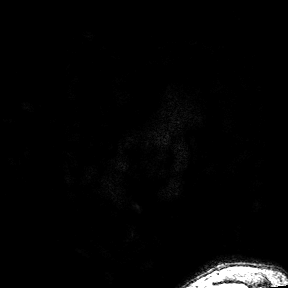
Case summary:
3 Tesla brain MRI. Series: 3D T1-weighted turbo field echo with SENSE. Study: ring-enhancing brain masses.